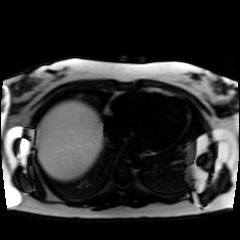
Chemical-shift-encoded cardiac MRI.